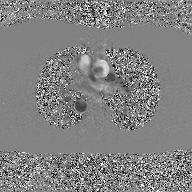
modality — 2D phase-contrast cine MRI of the ascending aorta, GAN super-resolution reconstruction.